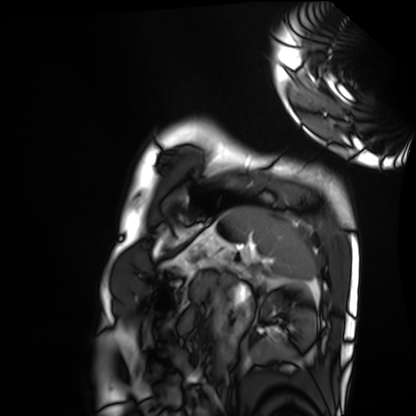
Q: What kind of scan is this?
A: Cardiac MRI.
Subject group: healthy volunteer.